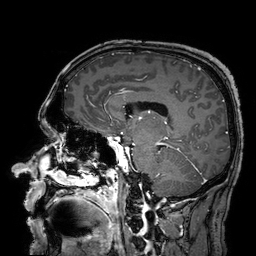
3 Tesla brain MRI.
Series: 3D T1-weighted turbo field echo with SENSE.
Study: ring-enhancing brain masses.